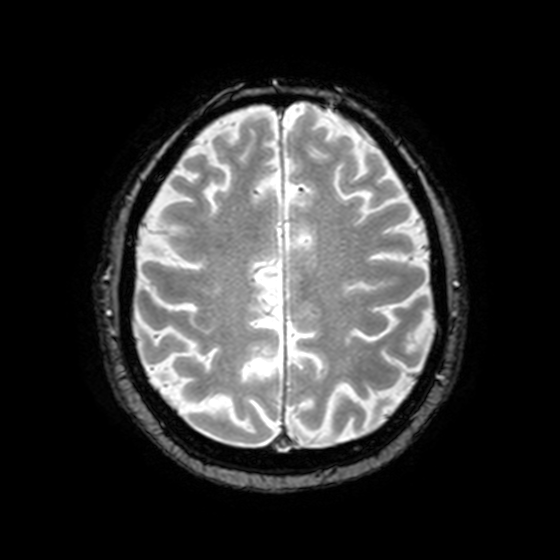
Summary:
3 Tesla brain MRI. Series: T2-weighted fast field echo with SENSE. Study: ring-enhancing brain masses.